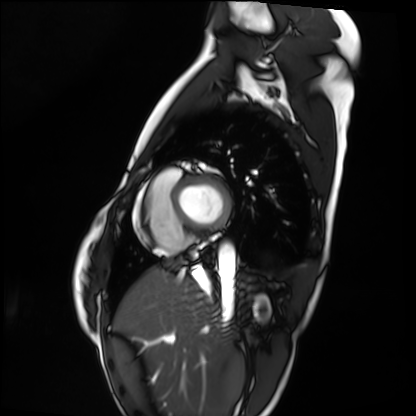
{
  "modality": "cardiac MRI",
  "cohort": "healthy volunteer"
}